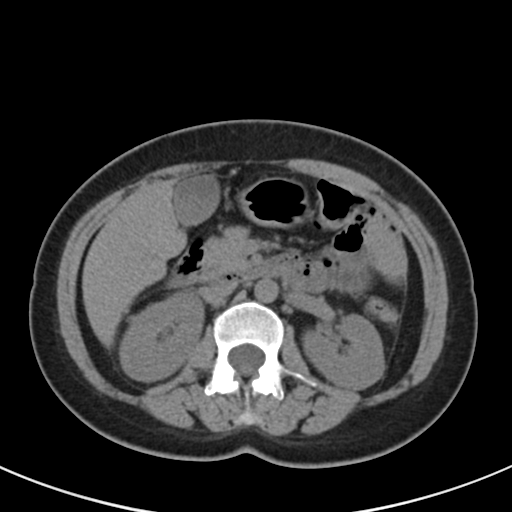
Multiphase abdominal CT, liver, non-contrast phase.
Patient: female, age 44.